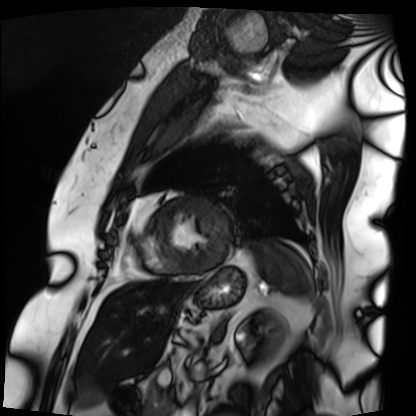
modality=cardiac MRI
subject group=patient